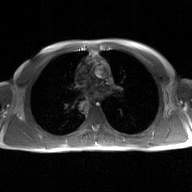
2D phase-contrast cine MRI of the ascending aorta, GAN super-resolution reconstruction.